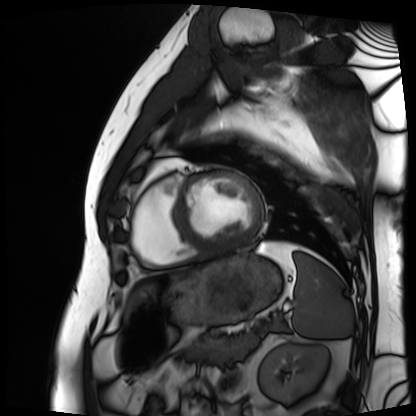
| field | value |
|---|---|
| modality | cardiac MRI |
| subject group | patient |